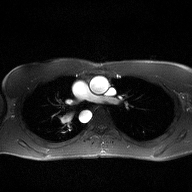
Q: What kind of scan is this?
A: 2D phase-contrast cine MRI of the ascending aorta.